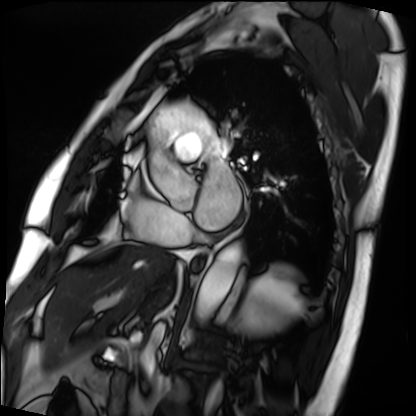
Case summary: Cardiac MRI. Subject group: patient.